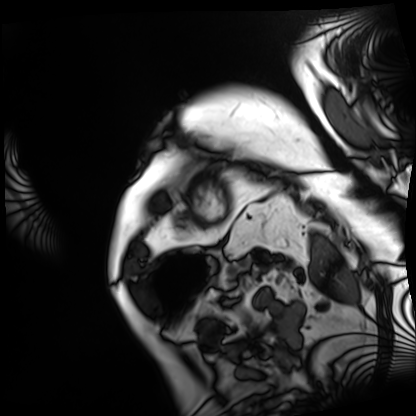
Cardiac MRI. Subject group: patient.